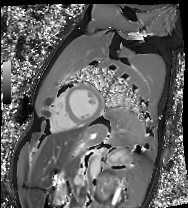
Cardiac MRI. Subject group: healthy volunteer.